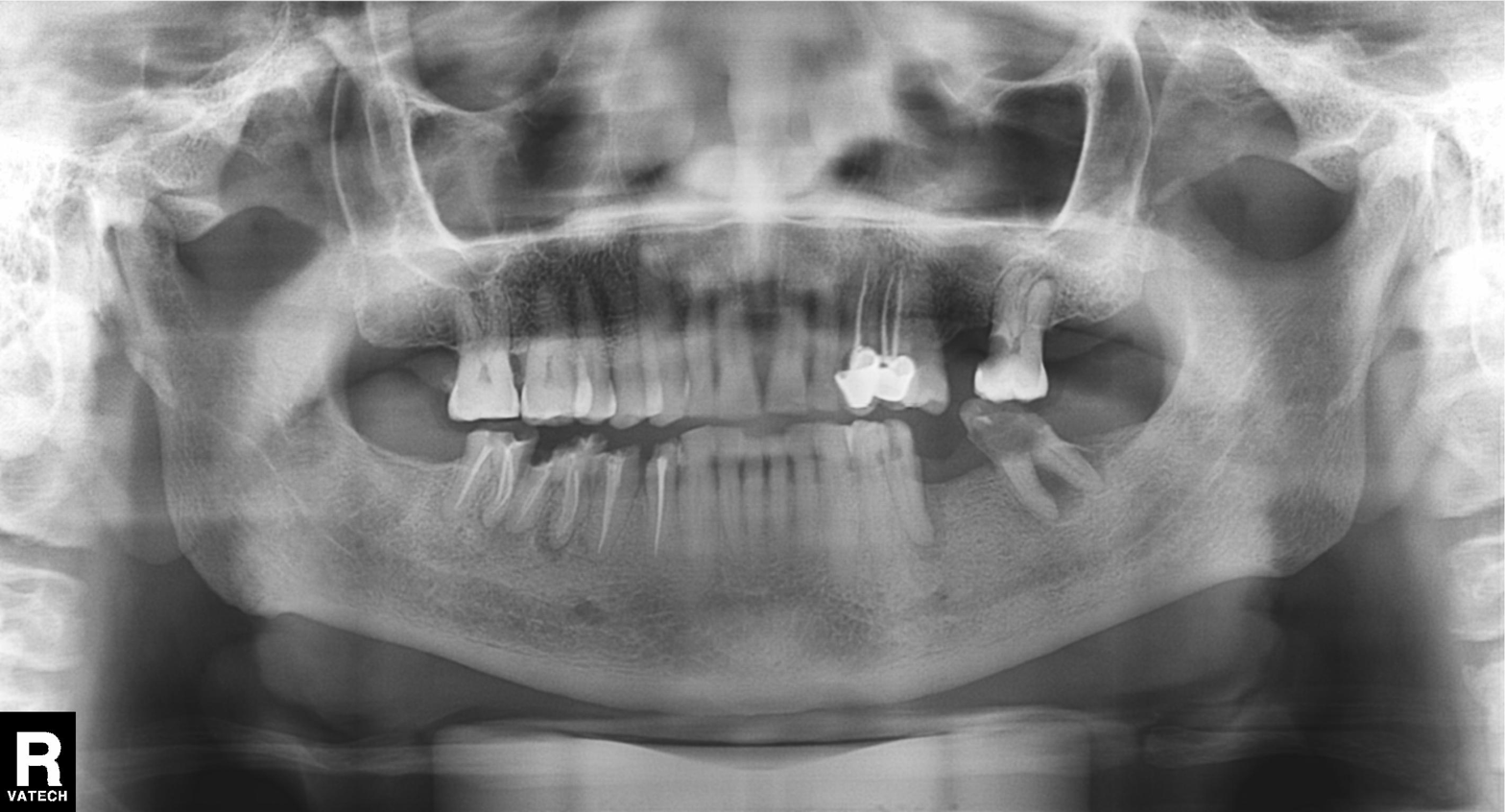
Summary: Panoramic dental radiograph (orthopantomogram).
Conclusion: Tooth impaction.